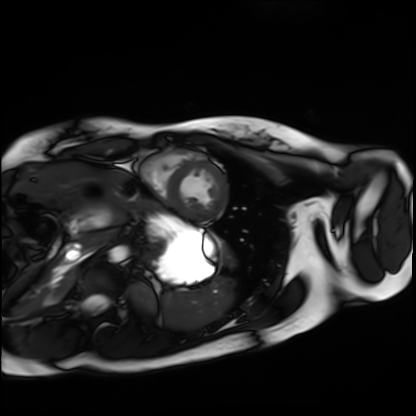
Summary: Cardiac MRI. Subject group: healthy volunteer.